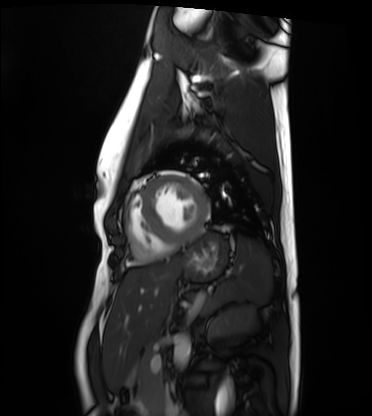
Cardiac MRI.
Subject group: healthy volunteer.